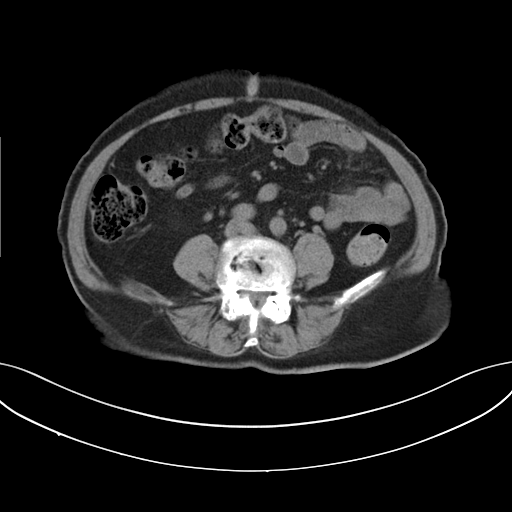
modality: multiphase abdominal CT, liver, non-contrast phase
patient: female, age 73
history: viral hepatitis